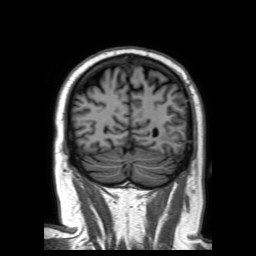
3 Tesla brain MRI. Study: ring-enhancing brain masses.